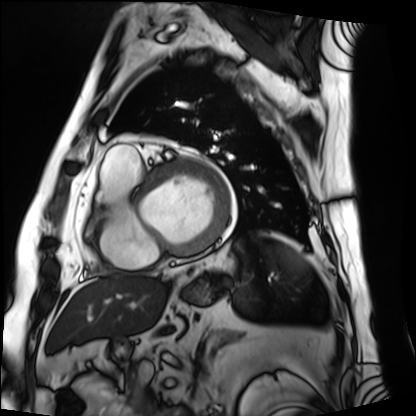
Cardiac MRI.
Subject group: patient.